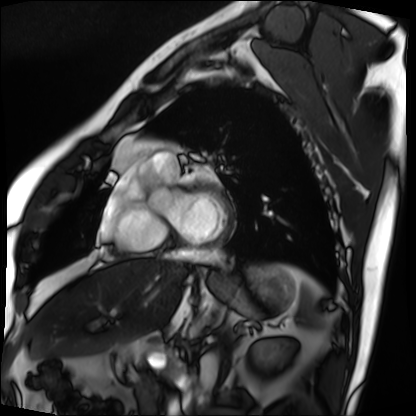
<record>
<modality>cardiac MRI</modality>
<cohort>patient</cohort>
</record>